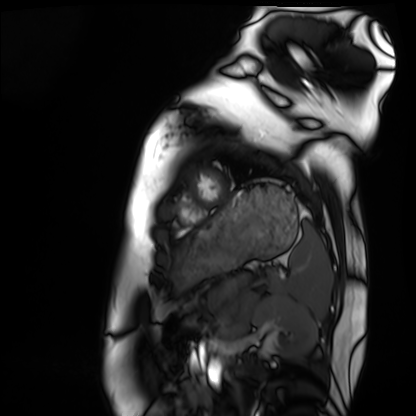
Cardiac MRI.
Subject group: healthy volunteer.